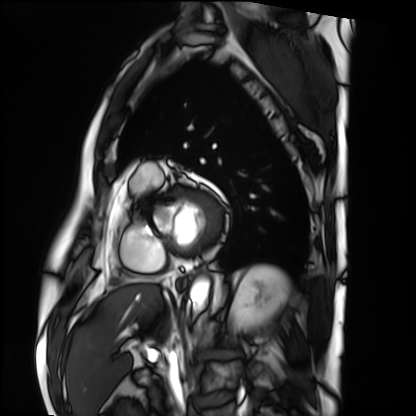
Summary:
Cardiac MRI. Subject group: patient.